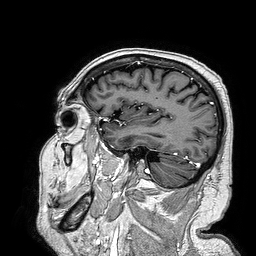
3 Tesla brain MRI. Series: 3D T1-weighted turbo field echo. Study: ring-enhancing brain masses.